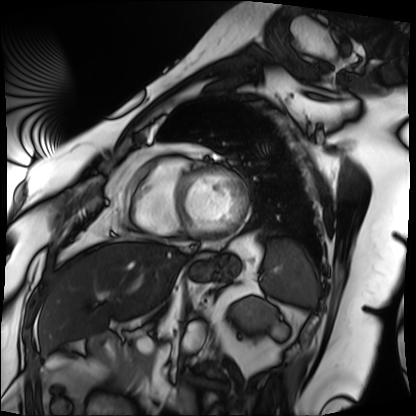
* modality · cardiac MRI
* subject group · patient